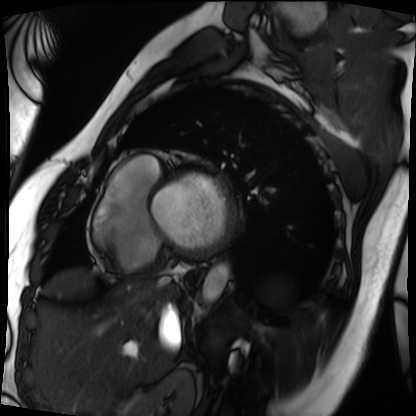
  modality: cardiac MRI
  cohort: patient